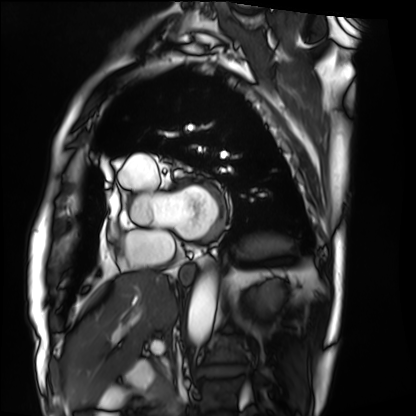
Case:
* modality — cardiac MRI
* subject group — patient